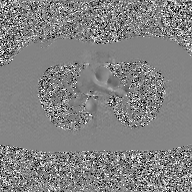
Case summary: 2D phase-contrast cine MRI of the ascending aorta, GAN super-resolution reconstruction.